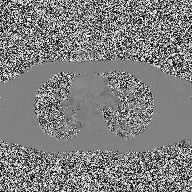
Q: What kind of scan is this?
A: 2D phase-contrast cine MRI of the ascending aorta.